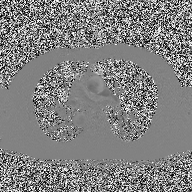
2D phase-contrast cine MRI of the ascending aorta, high-resolution GRAPPA acquisition.